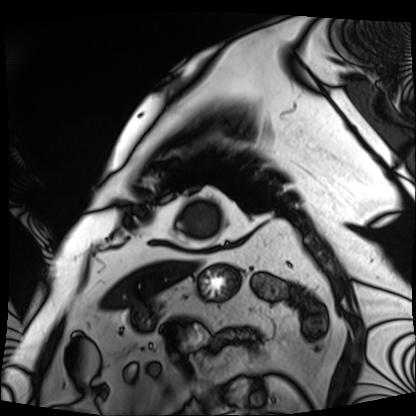
Q: What kind of scan is this?
A: Cardiac MRI.
Subject group: patient.